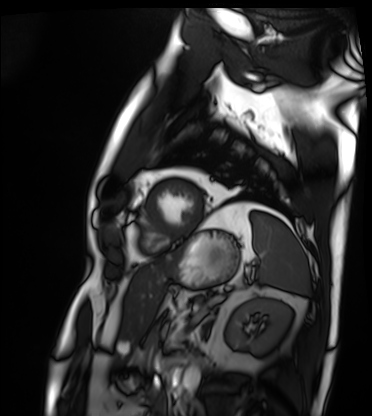
Cardiac MRI. Subject group: patient.